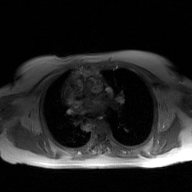
2D phase-contrast cine MRI of the ascending aorta, GAN super-resolution reconstruction.